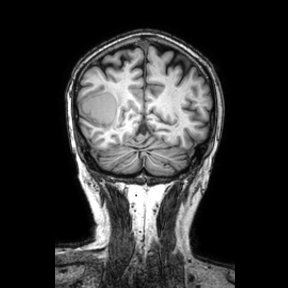
Q: What kind of scan is this?
A: 3 Tesla brain MRI.
Q: Series?
A: Coronal.
Study: ring-enhancing brain masses.